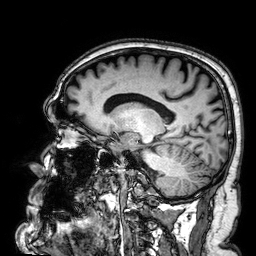
Q: What kind of scan is this?
A: 3 Tesla brain MRI.
Q: Series?
A: 3D T1-weighted.
Study: ring-enhancing brain masses.